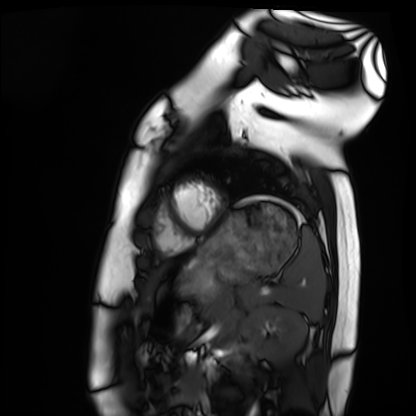
Case summary:
Cardiac MRI. Subject group: healthy volunteer.